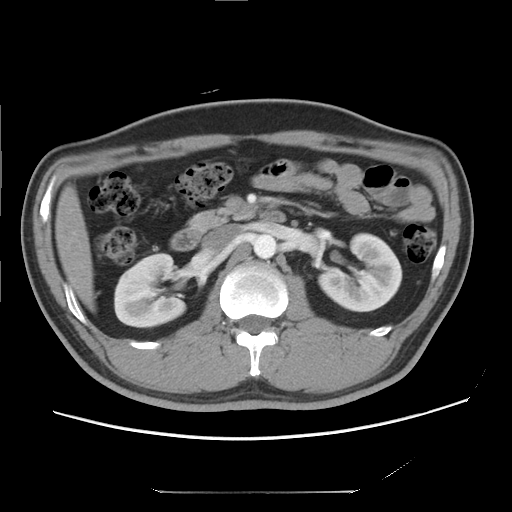
Multiphase abdominal CT, liver, arterial phase.
Patient: male, age 37.